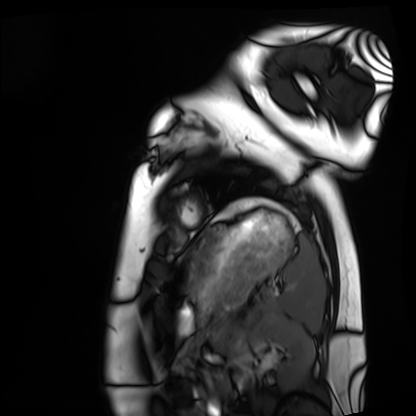
Cardiac MRI.
Subject group: healthy volunteer.